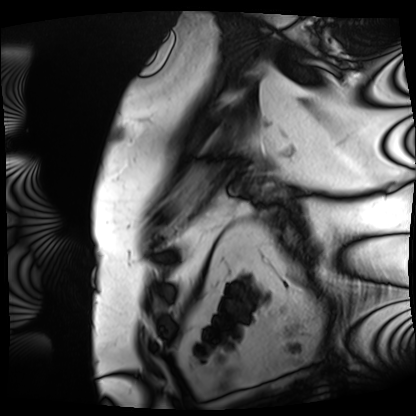
Cardiac MRI. Subject group: patient.